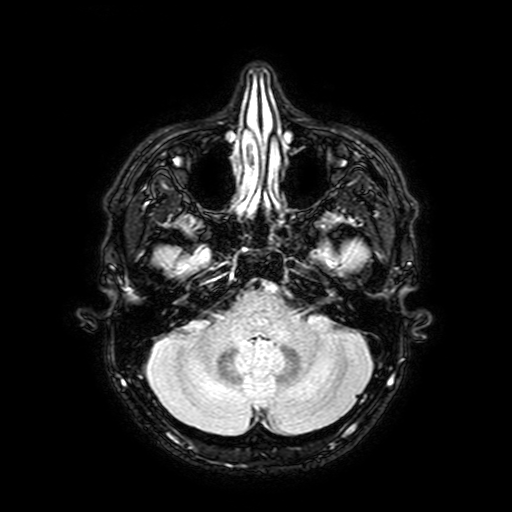
Case:
- modality · 3 Tesla brain MRI
- series · FLAIR with SPAIR, 3 mm
- study · ring-enhancing brain masses